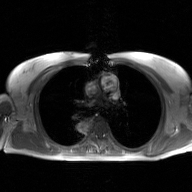
{"modality": {"type": "2D phase-contrast cine MRI", "region": "ascending aorta", "reconstruction": "GAN super-resolution reconstruction"}}